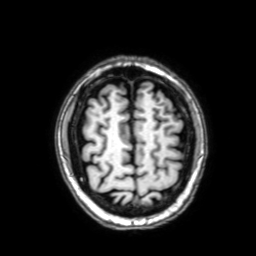
Summary: 3 Tesla brain MRI. Series: 3D T1-weighted with SENSE. Study: ring-enhancing brain masses.